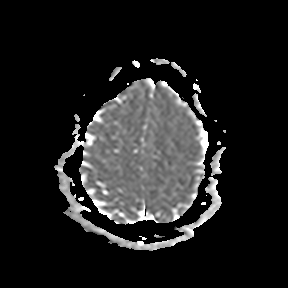
Summary: 3 Tesla brain MRI. Series: apparent diffusion coefficient (ADC) map. Study: ring-enhancing brain masses.